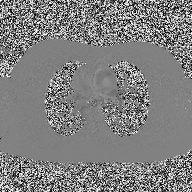
<record>
  <modality>
    <type>2D phase-contrast cine MRI</type>
    <region>ascending aorta</region>
    <reconstruction>high-resolution GRAPPA acquisition</reconstruction>
  </modality>
</record>